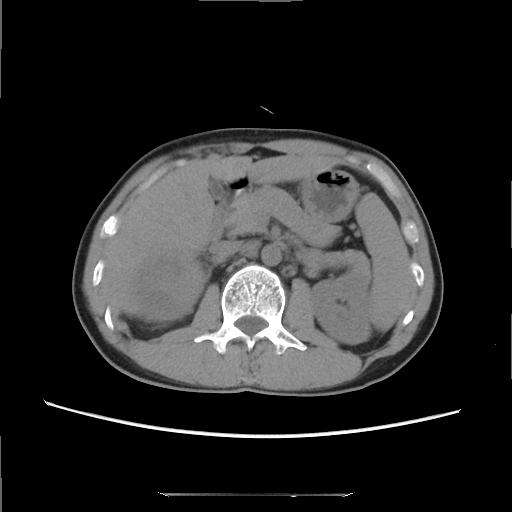
Multiphase abdominal CT, liver, non-contrast phase. Patient: male, age 39. History: cirrhosis, viral hepatitis.